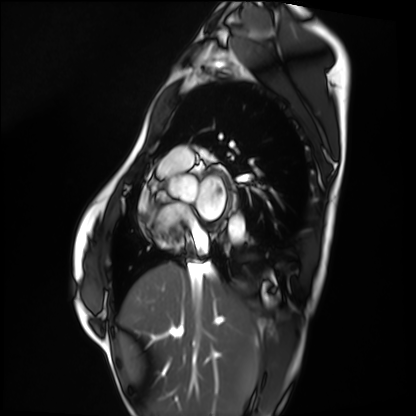
• modality: cardiac MRI
• subject group: healthy volunteer